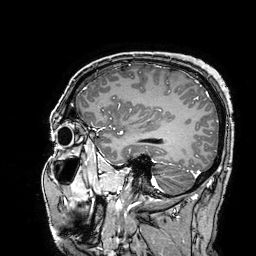
modality: 3 Tesla brain MRI; series: 3D T1-weighted turbo field echo with SENSE; study: ring-enhancing brain masses.